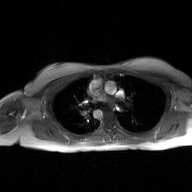
2D phase-contrast cine MRI of the ascending aorta, GAN super-resolution reconstruction.